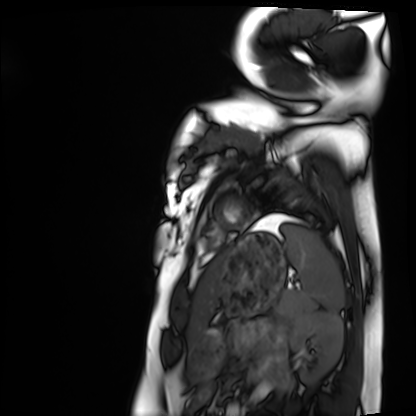
| field | value |
|---|---|
| modality | cardiac MRI |
| subject group | healthy volunteer |